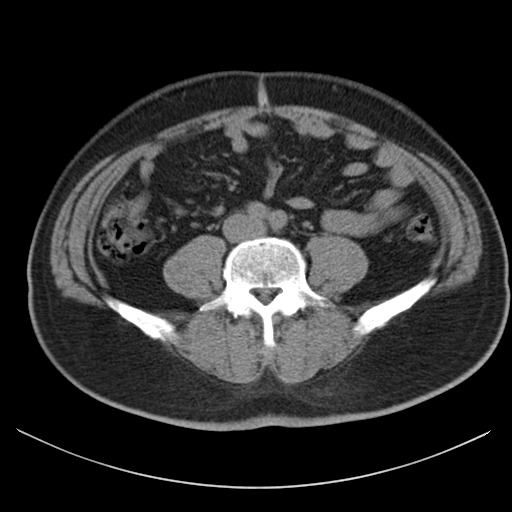
modality:
  type: multiphase abdominal CT
  region: liver
  phase: non-contrast
patient:
  sex: male
  age: 48